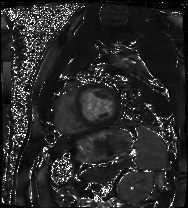
Q: What kind of scan is this?
A: Cardiac MRI.
Subject group: patient.